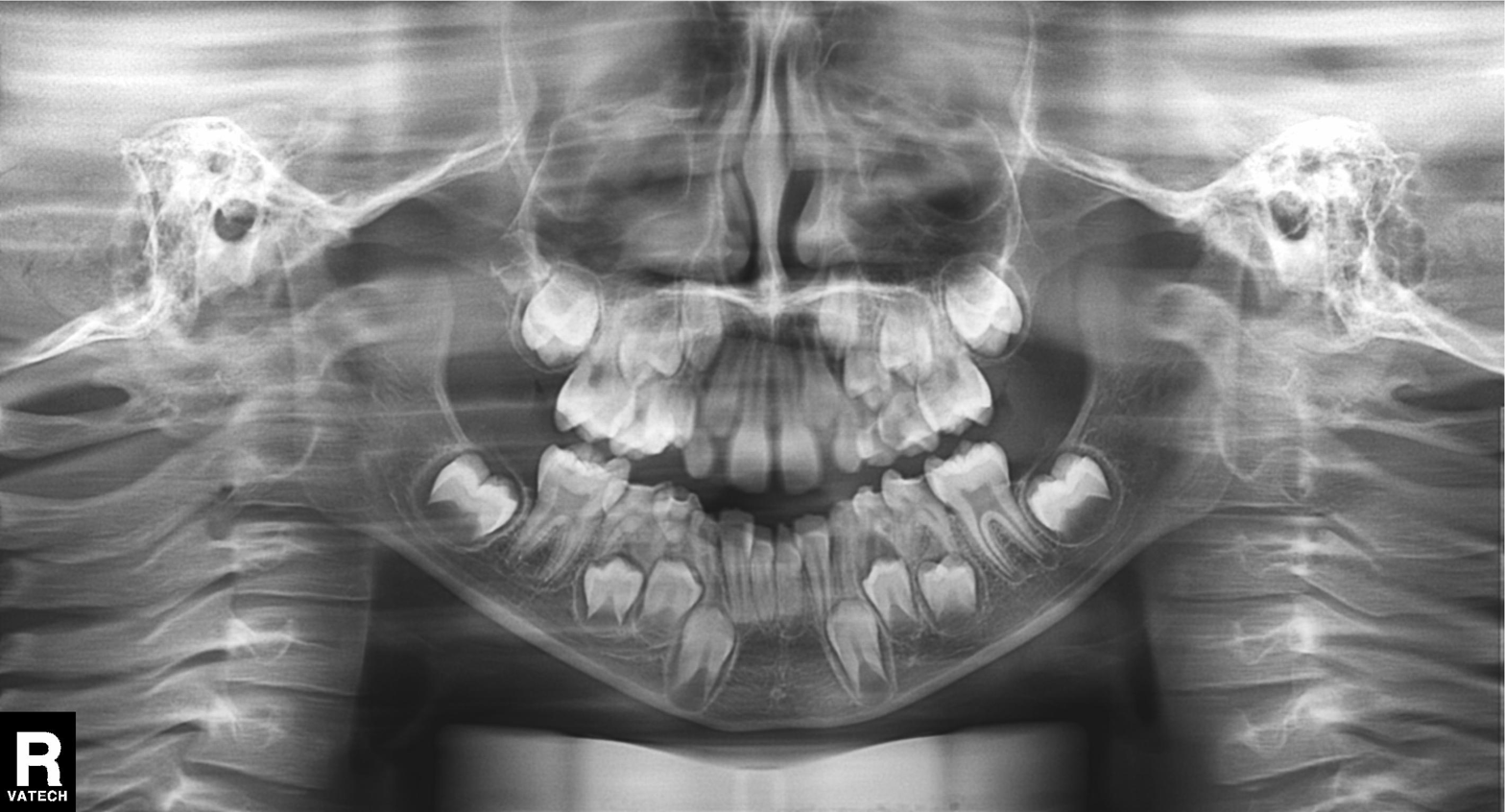
Q: What kind of scan is this?
A: Panoramic dental radiograph (orthopantomogram).
Q: What is the radiographic finding?
A: Alveolar bone loss.